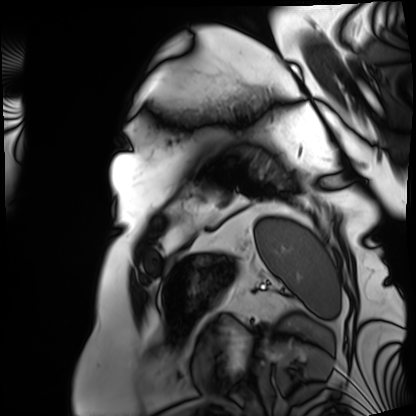
– modality · cardiac MRI
– subject group · patient